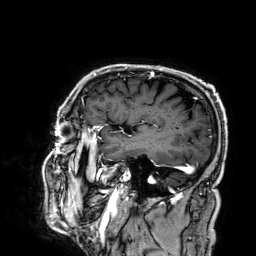
<study>
  <modality>
    <type>brain MRI</type>
    <field_strength>3T</field_strength>
  </modality>
  <series>3D T1-weighted</series>
  <study_topic>ring-enhancing brain masses</study_topic>
</study>